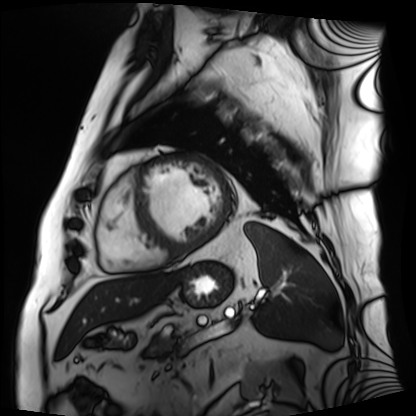
modality = cardiac MRI, subject group = patient.